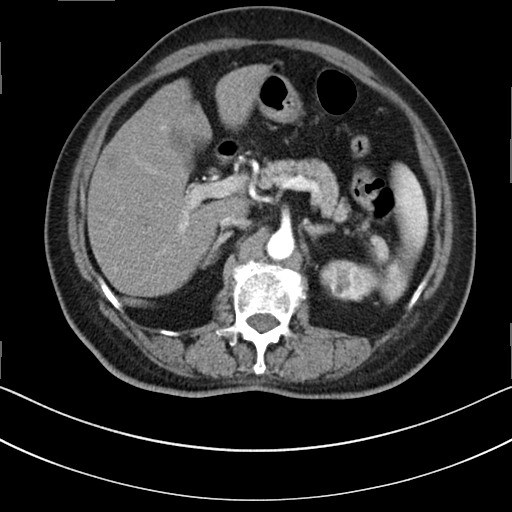
{
  "modality": {
    "type": "multiphase abdominal CT",
    "region": "liver",
    "phase": "arterial"
  },
  "patient": {
    "sex": "female",
    "age": 76
  }
}